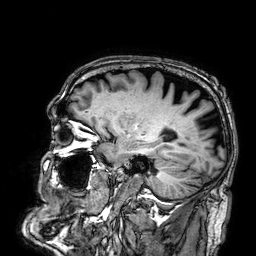
modality=3 Tesla brain MRI
series=3D T1-weighted
study=ring-enhancing brain masses